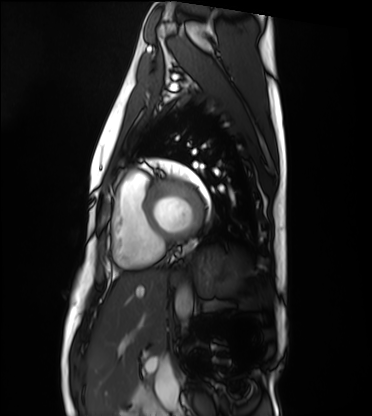
Q: What kind of scan is this?
A: Cardiac MRI.
Subject group: healthy volunteer.